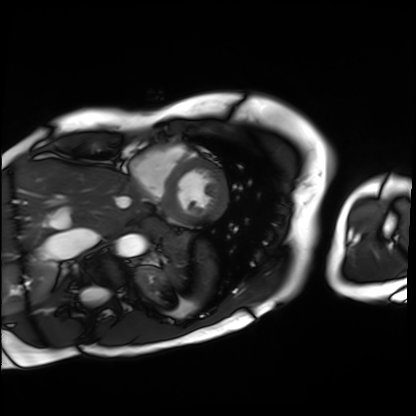
Cardiac MRI. Subject group: patient.